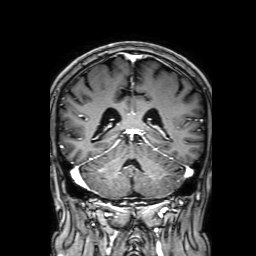
modality = 3 Tesla brain MRI; series = 3D T1-weighted with SENSE; study = ring-enhancing brain masses.